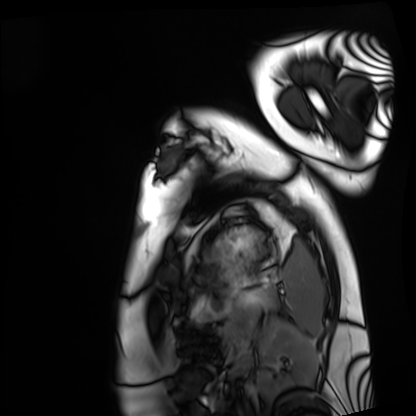
Cardiac MRI. Subject group: healthy volunteer.